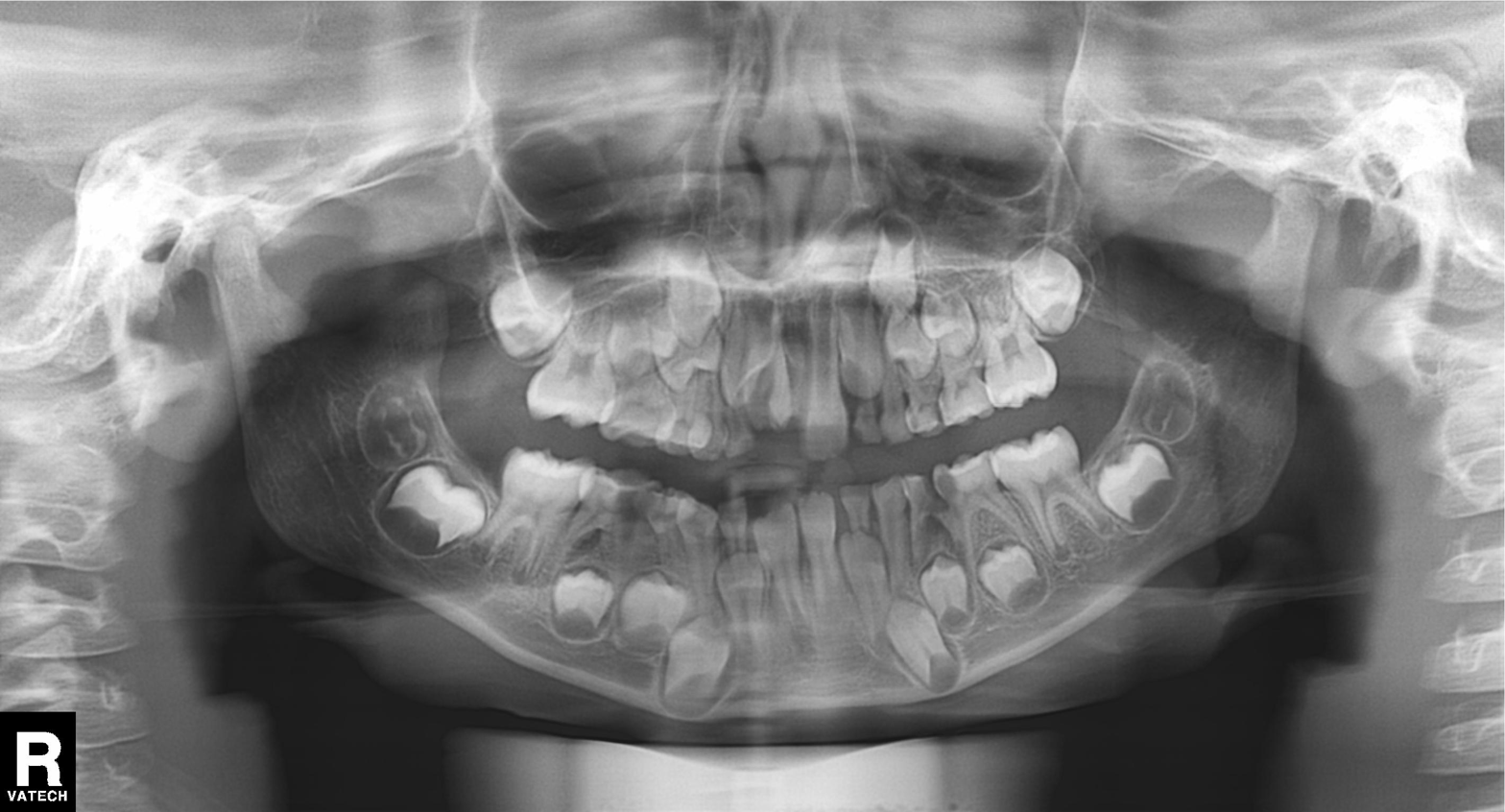
modality: panoramic dental radiograph (orthopantomogram), finding: tooth impaction.